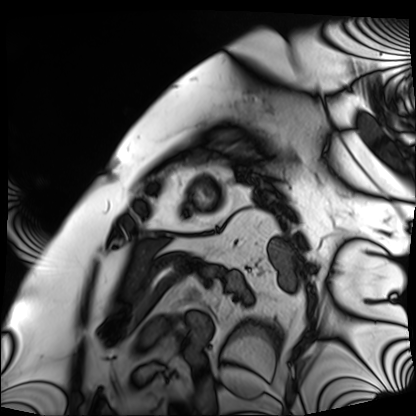
Cardiac MRI. Subject group: patient.